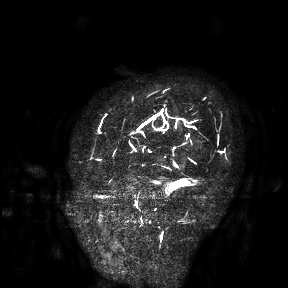
  modality:
    type: brain MRI
    field_strength: 3T
  study_topic: ring-enhancing brain masses